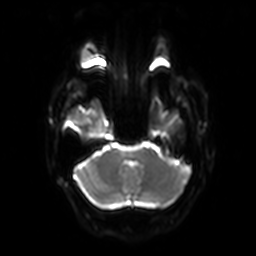
3 Tesla brain MRI. Series: diffusion-weighted imaging with SENSE (WIP). Study: ring-enhancing brain masses.